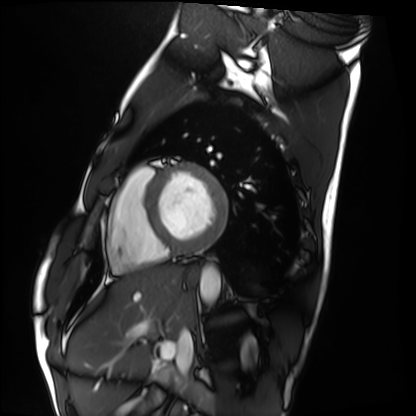
Clinical context: Cardiac MRI. Subject group: healthy volunteer.